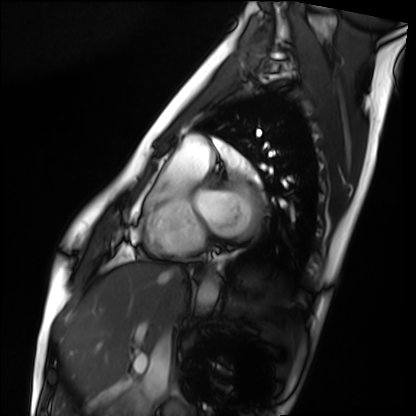
Case:
– modality — cardiac MRI
– subject group — healthy volunteer